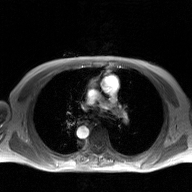
- modality: 2D phase-contrast cine MRI of the ascending aorta, GAN super-resolution reconstruction